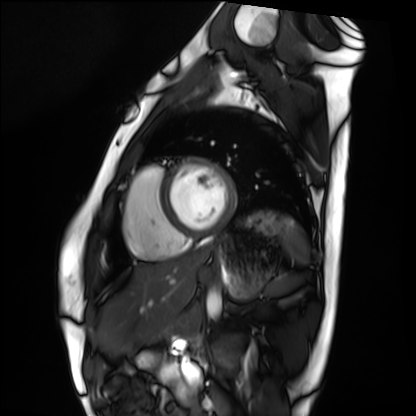
Cardiac MRI. Subject group: healthy volunteer.